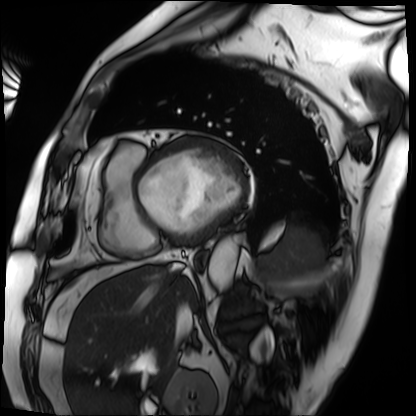
Clinical context:
Cardiac MRI. Subject group: patient.